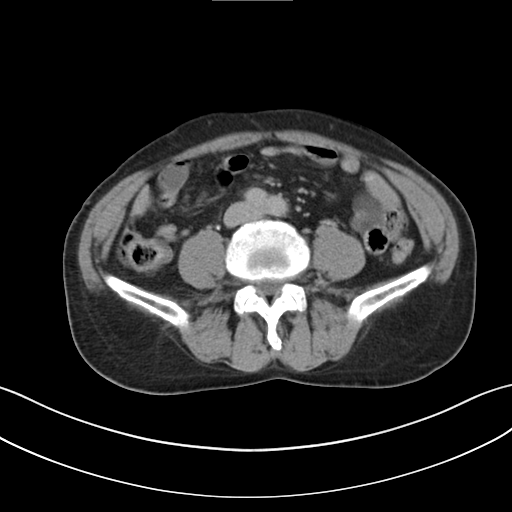
Case summary: Multiphase abdominal CT, liver, delayed phase. Patient: male, age 65. History: viral hepatitis.